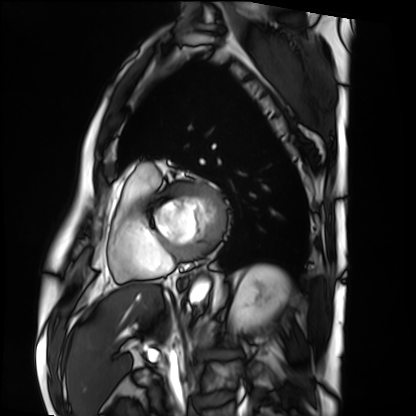
Cardiac MRI.
Subject group: patient.